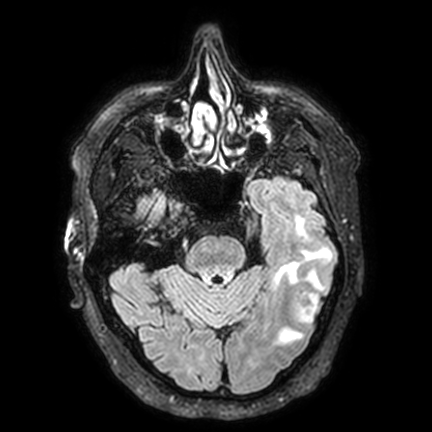
{
  "modality": {
    "type": "brain MRI",
    "field_strength": "3T"
  },
  "series": "FLAIR VISTA with SENSE",
  "study_topic": "ring-enhancing brain masses"
}